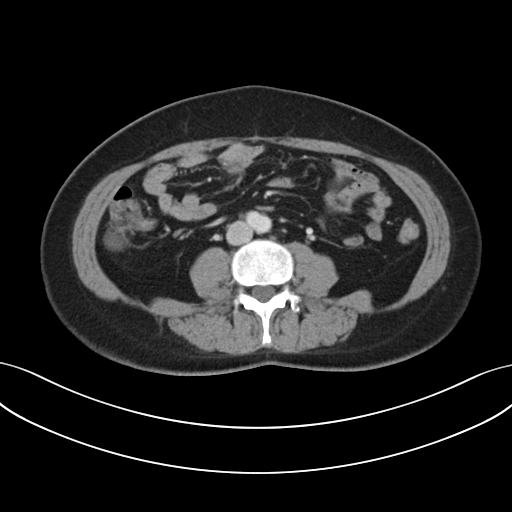
modality: multiphase abdominal CT, liver, portal venous phase
patient: female, age 50